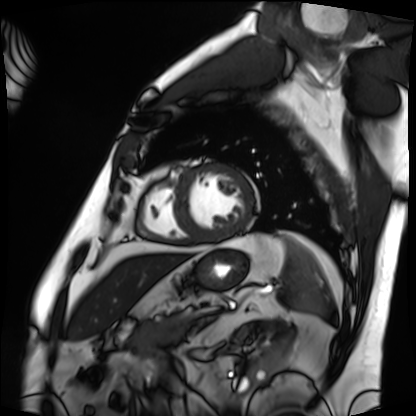
Case summary: Cardiac MRI. Subject group: patient.